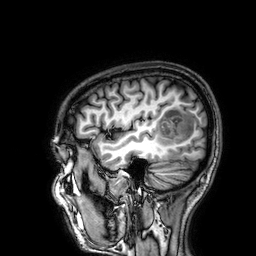
Case:
* modality: 3 Tesla brain MRI
* series: 3D T1-weighted
* study: ring-enhancing brain masses